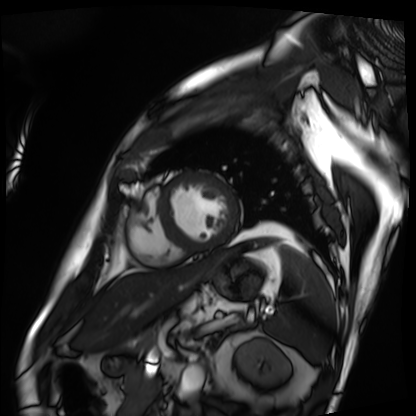
<scan>
  <modality>cardiac MRI</modality>
  <cohort>patient</cohort>
</scan>